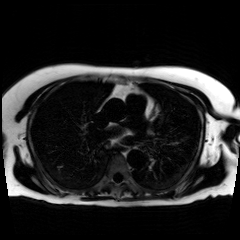
Chemical-shift-encoded cardiac MRI.